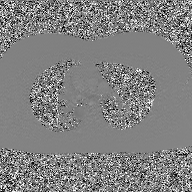
{
  "modality": {
    "type": "2D phase-contrast cine MRI",
    "region": "ascending aorta",
    "reconstruction": "GAN super-resolution reconstruction"
  }
}